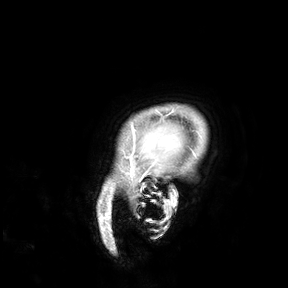
modality — 3 Tesla brain MRI
study — ring-enhancing brain masses